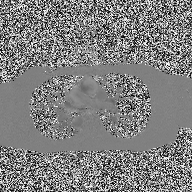
2D phase-contrast cine MRI of the ascending aorta, high-resolution GRAPPA acquisition.